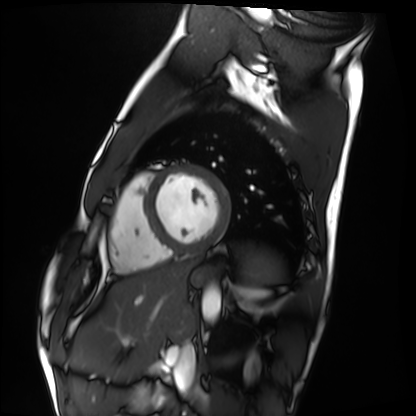
– modality: cardiac MRI
– subject group: healthy volunteer